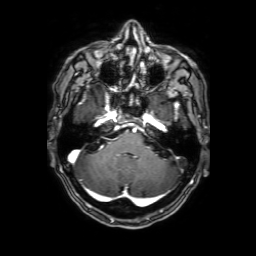
modality = 3 Tesla brain MRI
series = 3D T1-weighted with SENSE
study = ring-enhancing brain masses